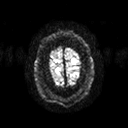
Q: What kind of scan is this?
A: 3 Tesla brain MRI.
Q: Series?
A: Diffusion tensor imaging (medium iso).
Study: ring-enhancing brain masses.